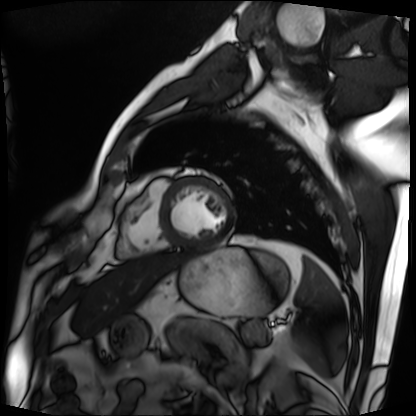
Case summary: Cardiac MRI. Subject group: patient.